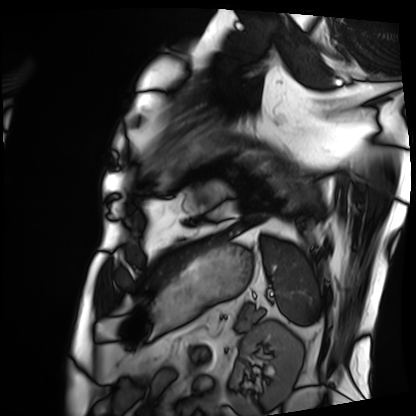
Cardiac MRI.
Subject group: patient.